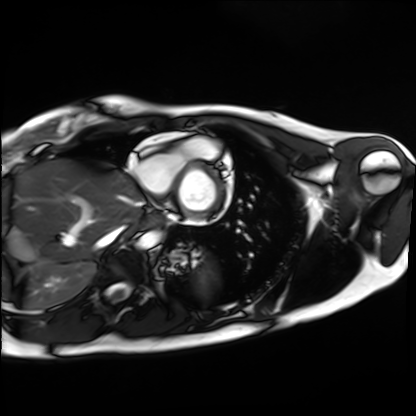
modality: cardiac MRI, subject group: healthy volunteer.